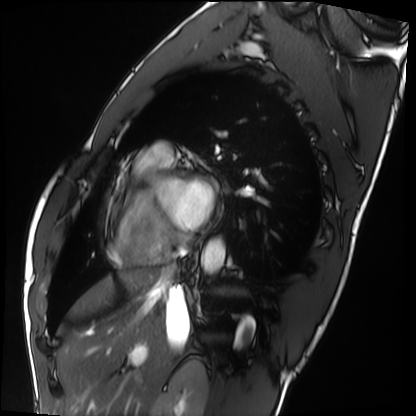
<scan>
<modality>cardiac MRI</modality>
<cohort>healthy volunteer</cohort>
</scan>